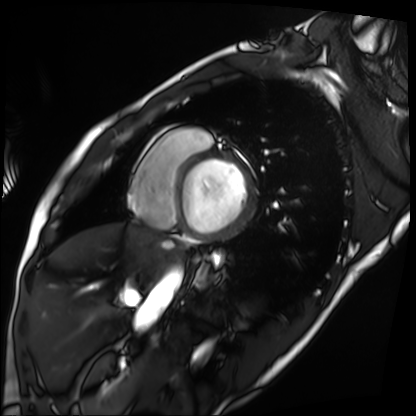
  modality: cardiac MRI
  cohort: patient